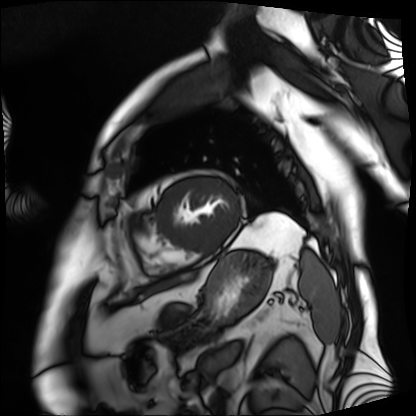
Summary: Cardiac MRI. Subject group: patient.